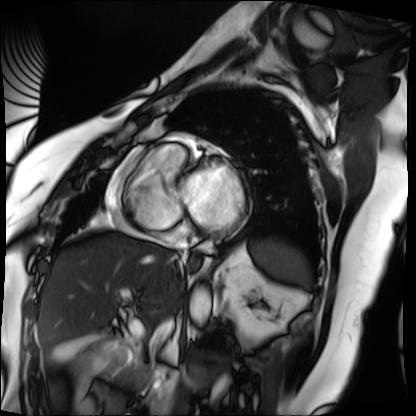
Cardiac MRI. Subject group: patient.